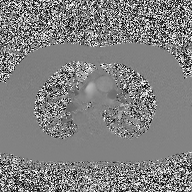
2D phase-contrast cine MRI of the ascending aorta, high-resolution GRAPPA acquisition.